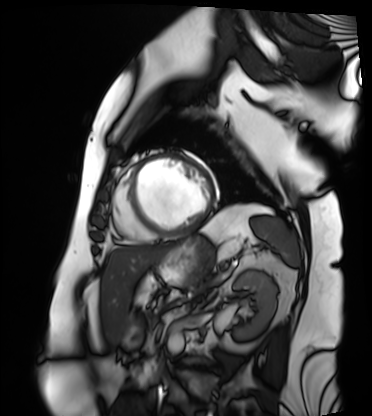
  modality: cardiac MRI
  cohort: patient